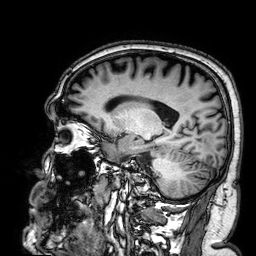
modality: 3 Tesla brain MRI | series: 3D T1-weighted | study: ring-enhancing brain masses.